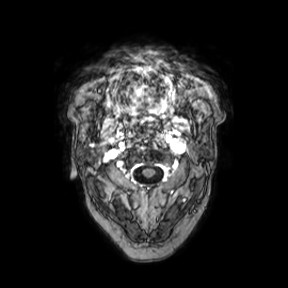
modality = 3 Tesla brain MRI
series = axial
study = ring-enhancing brain masses